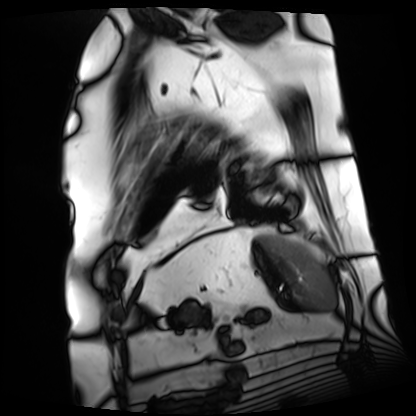
modality: cardiac MRI
cohort: patient